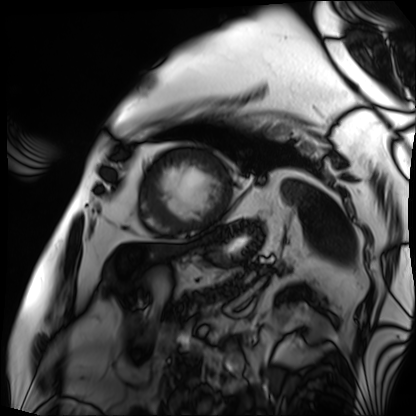
* modality — cardiac MRI
* subject group — patient